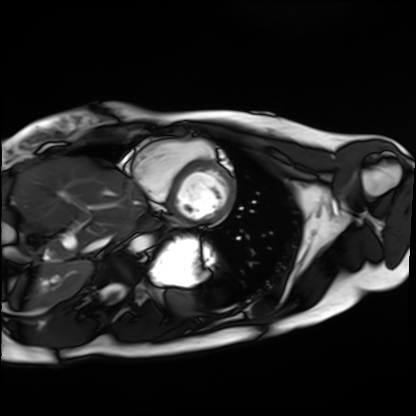
{"modality": "cardiac MRI", "cohort": "healthy volunteer"}